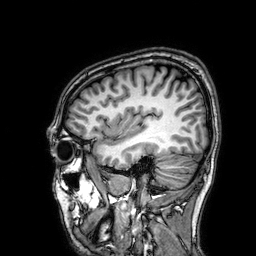
modality: 3 Tesla brain MRI | study: ring-enhancing brain masses.